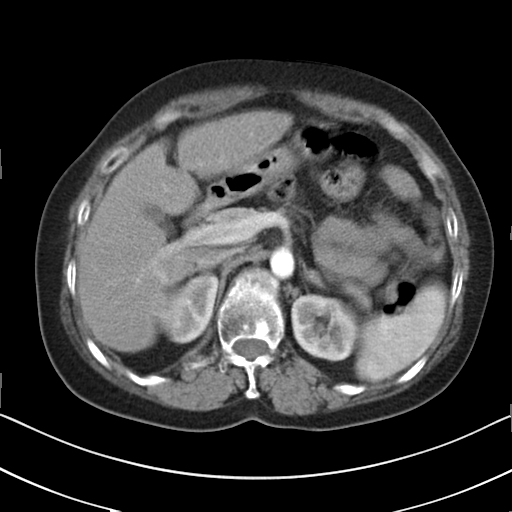
Multiphase abdominal CT, liver, arterial phase. Patient: female, age 58. History: cirrhosis, viral hepatitis.